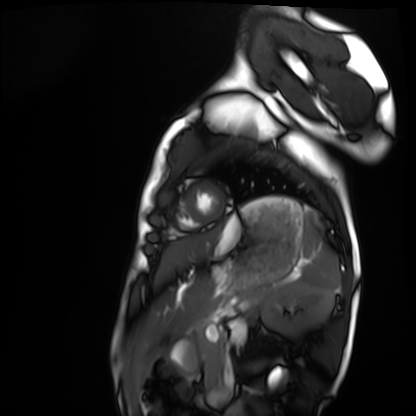
Cardiac MRI.
Subject group: healthy volunteer.